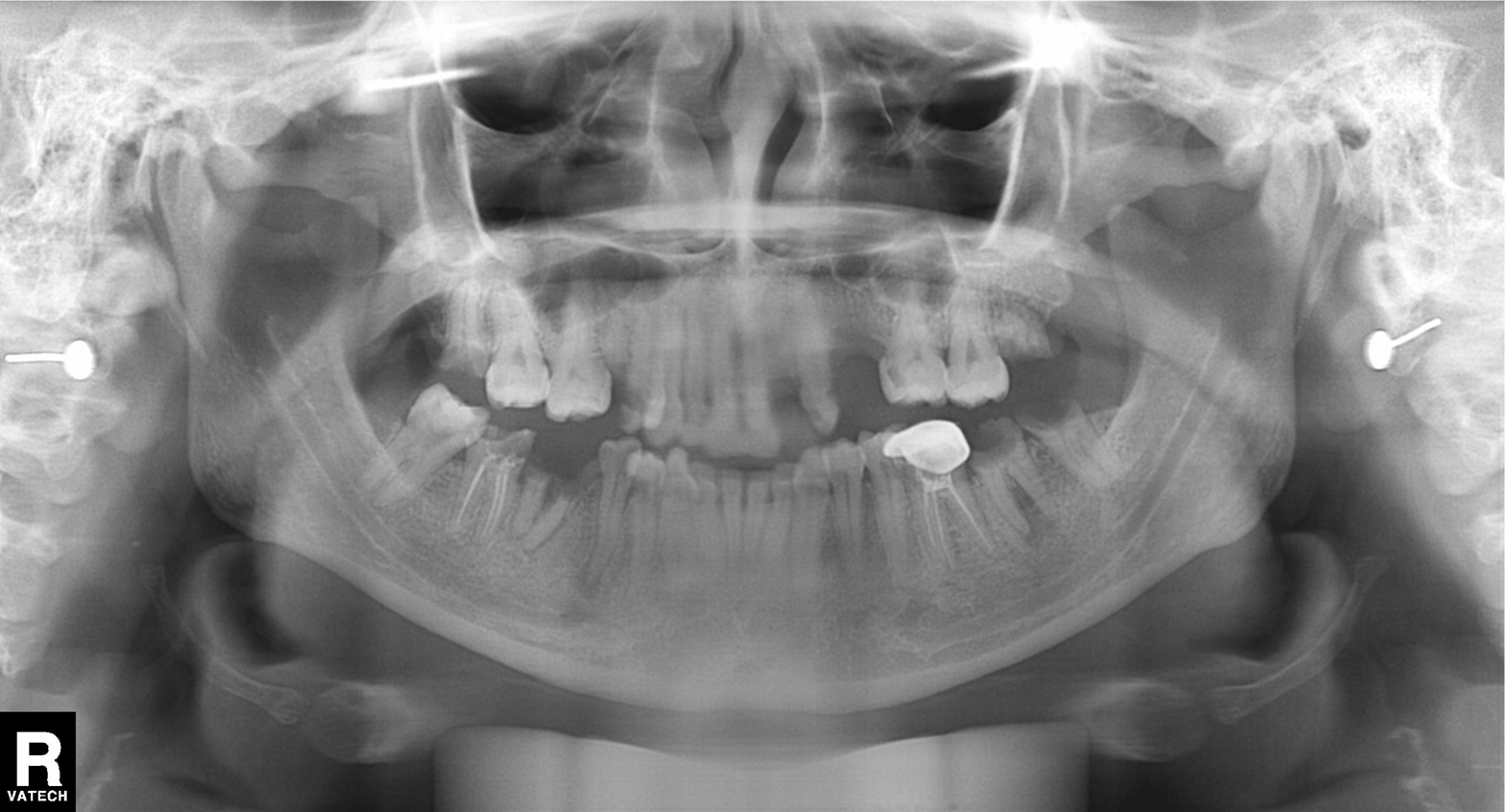
Panoramic dental radiograph (orthopantomogram).
Finding: alveolar bone loss.